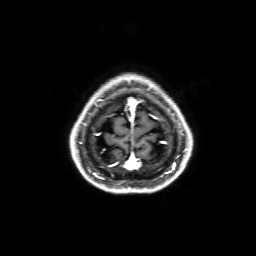
<scan>
<modality>
  <type>brain MRI</type>
  <field_strength>3T</field_strength>
</modality>
<series>3D T1-weighted with SENSE</series>
<study_topic>ring-enhancing brain masses</study_topic>
</scan>